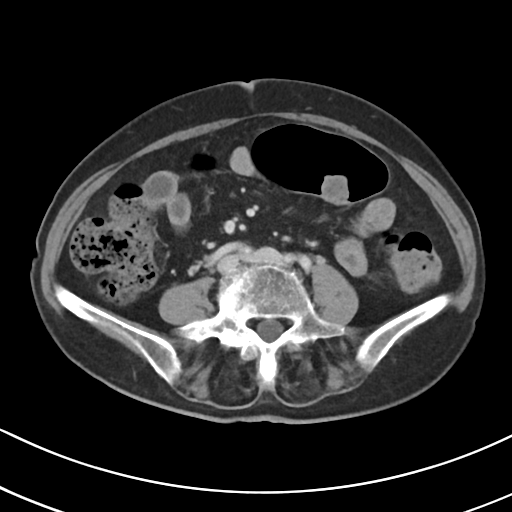
Multiphase abdominal CT, liver, portal venous phase. Patient: female, age 71. History: prior chemotherapy.